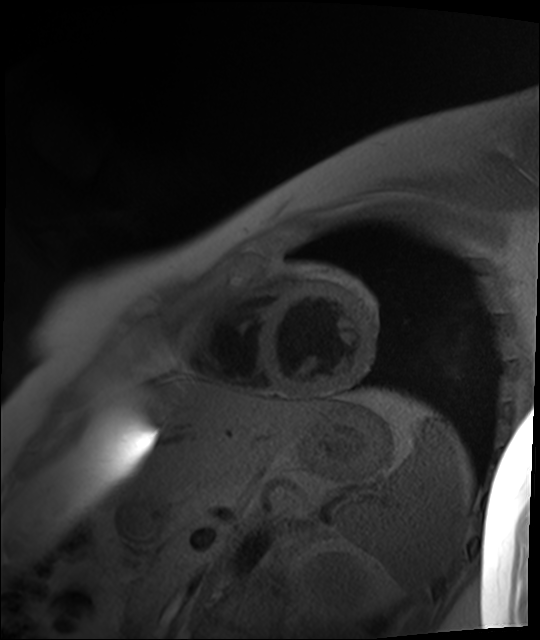
modality = cardiac MR image of the myocardium
subject cohort = healthy volunteer